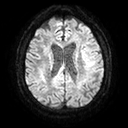
modality=3 Tesla brain MRI | series=diffusion tensor imaging (medium iso) | study=ring-enhancing brain masses.